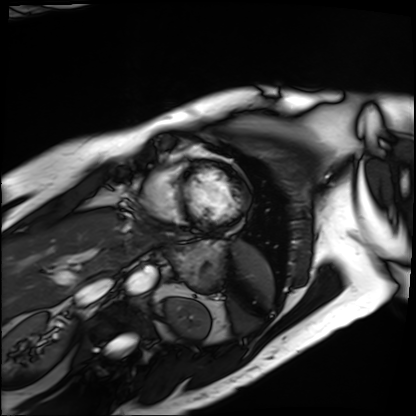
modality=cardiac MRI
subject group=patient